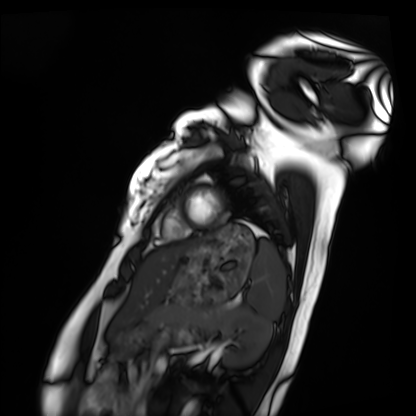
– modality: cardiac MRI
– subject group: healthy volunteer